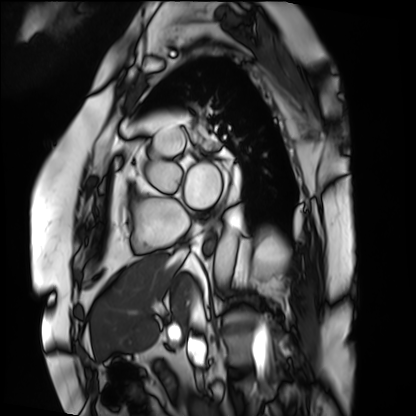
<case>
  <modality>cardiac MRI</modality>
  <cohort>patient</cohort>
</case>